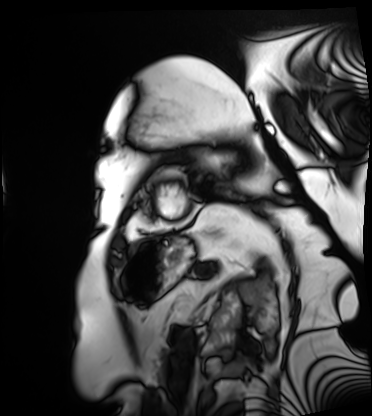
Cardiac MRI.
Subject group: patient.